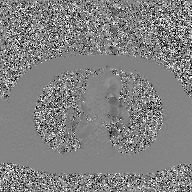
modality: 2D phase-contrast cine MRI of the ascending aorta, GAN super-resolution reconstruction.